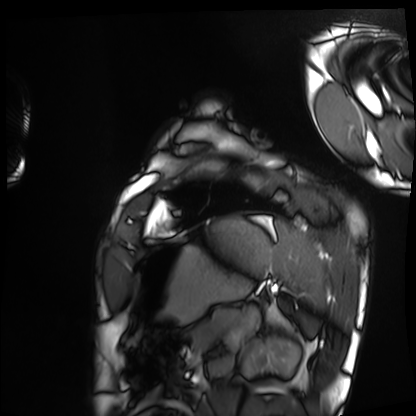
Summary: Cardiac MRI. Subject group: healthy volunteer.